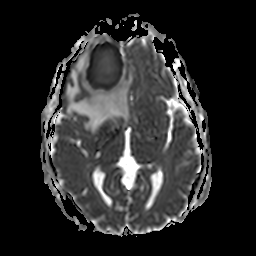
| field | value |
|---|---|
| modality | 3 Tesla brain MRI |
| series | apparent diffusion coefficient (ADC) map |
| study | ring-enhancing brain masses |